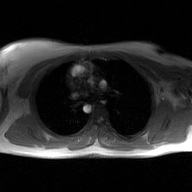
2D phase-contrast cine MRI of the ascending aorta, GAN super-resolution reconstruction.